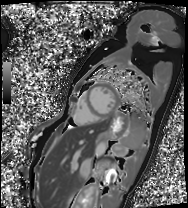
Summary:
Cardiac MRI. Subject group: patient.